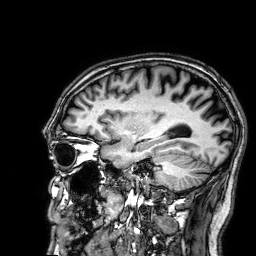
3 Tesla brain MRI.
Series: 3D T1-weighted.
Study: ring-enhancing brain masses.